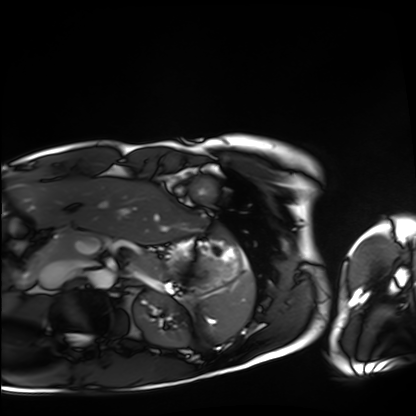
Cardiac MRI. Subject group: healthy volunteer.